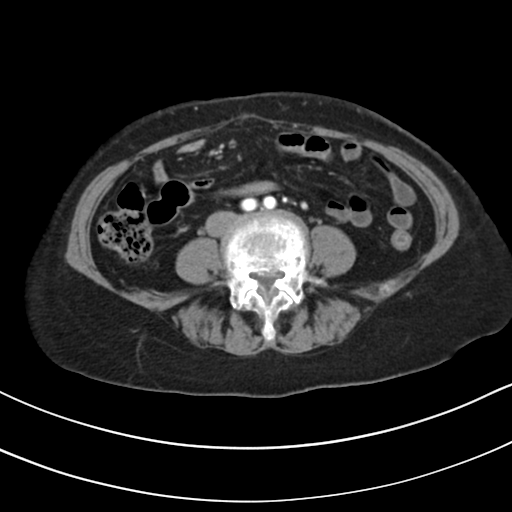
Summary:
Multiphase abdominal CT, liver, arterial phase. Patient: female, age 61.